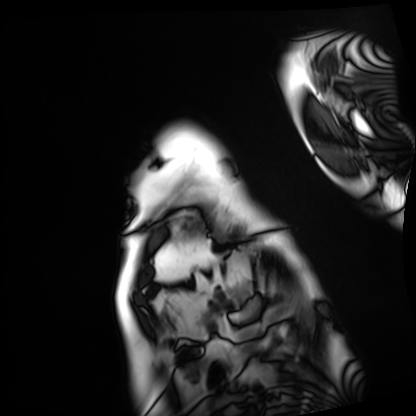
modality=cardiac MRI
subject group=patient